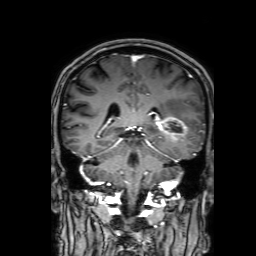
3 Tesla brain MRI. Series: 3D T1-weighted with SENSE. Study: ring-enhancing brain masses.